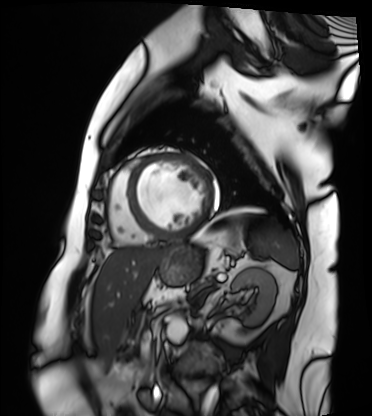
modality: cardiac MRI; subject group: patient.